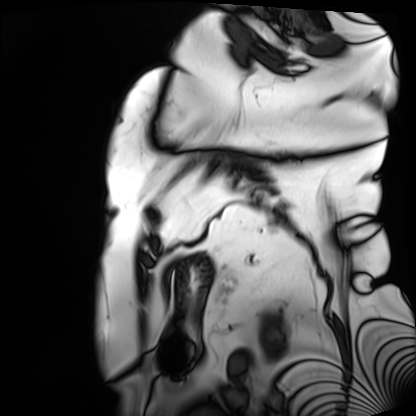
Case:
- modality · cardiac MRI
- subject group · patient